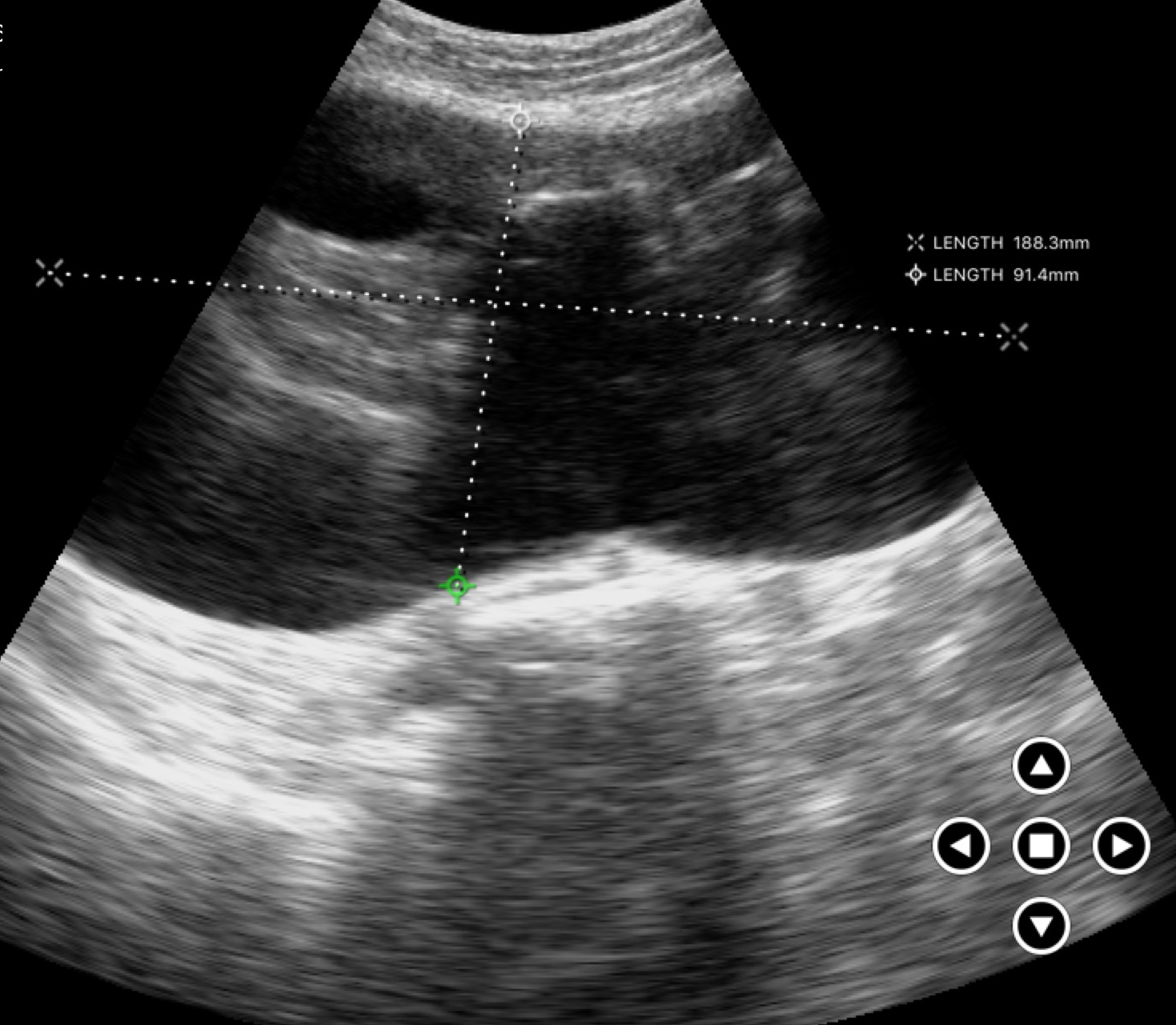
Summary: Genitourinary ultrasound.